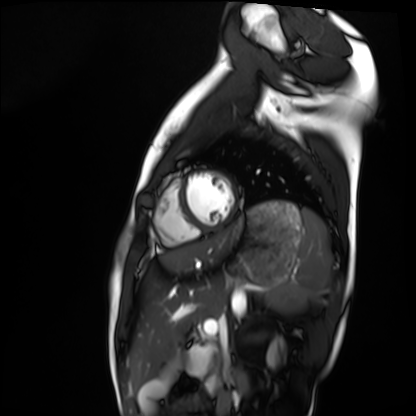
– modality: cardiac MRI
– subject group: healthy volunteer